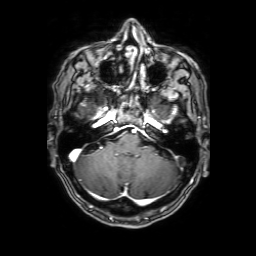
  modality:
    type: brain MRI
    field_strength: 3T
  series: 3D T1-weighted with SENSE
  study_topic: ring-enhancing brain masses